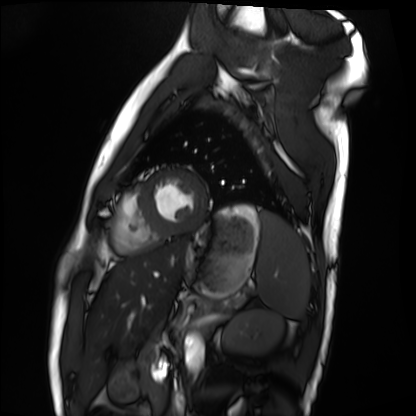
Clinical context: Cardiac MRI. Subject group: healthy volunteer.